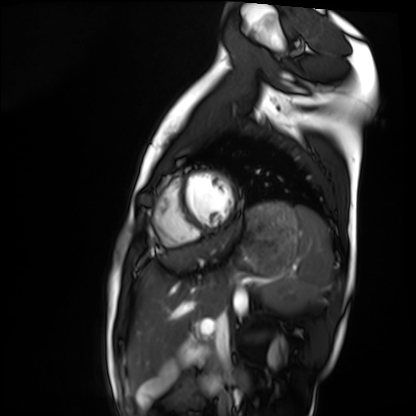
Summary:
Cardiac MRI. Subject group: healthy volunteer.